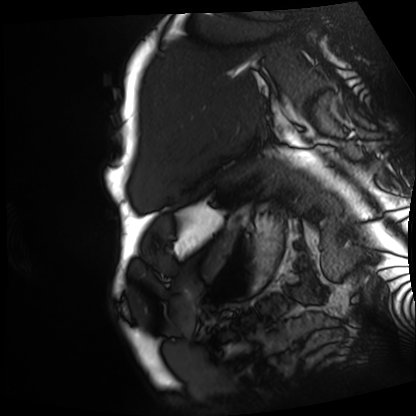
<study>
<modality>cardiac MRI</modality>
<cohort>patient</cohort>
</study>